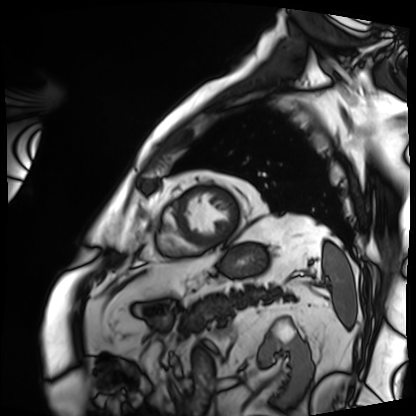
| field | value |
|---|---|
| modality | cardiac MRI |
| subject group | patient |